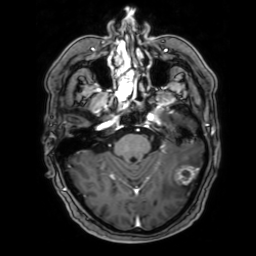
modality = 3 Tesla brain MRI
series = 3D T1-weighted with SENSE
study = ring-enhancing brain masses